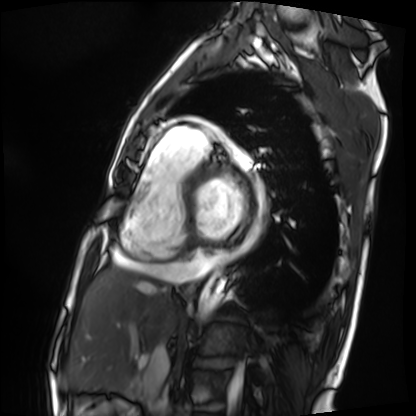
Cardiac MRI.
Subject group: patient.